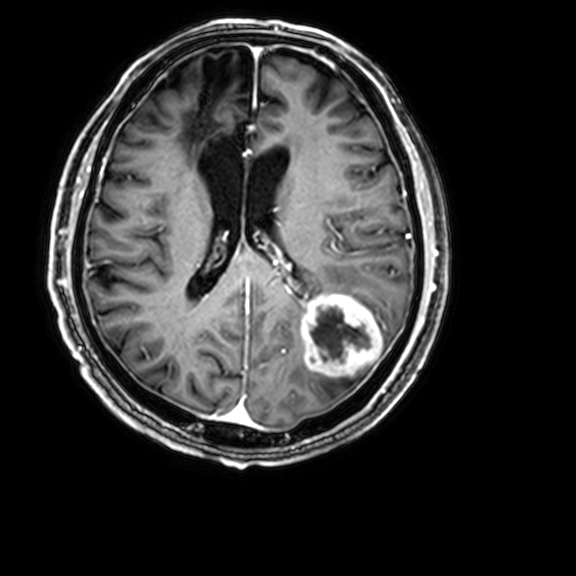
modality: 3 Tesla brain MRI; series: 3D T1-weighted with CLEAR; study: ring-enhancing brain masses.